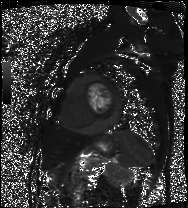
modality = cardiac MRI; subject group = patient.